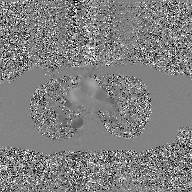
Summary: 2D phase-contrast cine MRI of the ascending aorta, GAN super-resolution reconstruction.